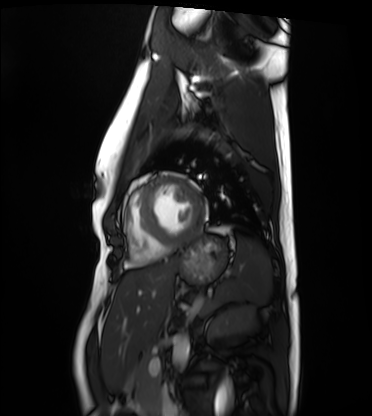
Case:
* modality — cardiac MRI
* subject group — healthy volunteer